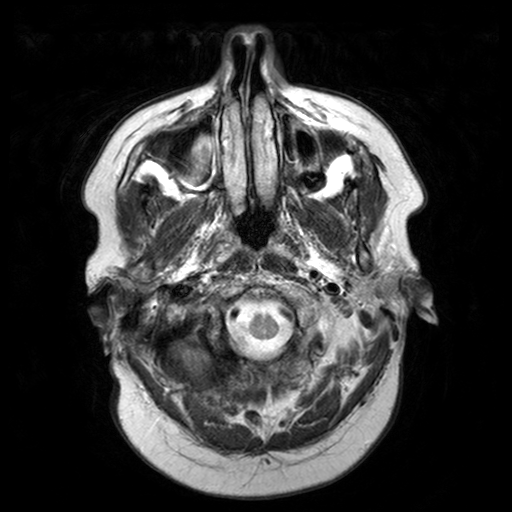
{
  "modality": {
    "type": "brain MRI",
    "field_strength": "3T"
  },
  "series": "T2-weighted turbo spin echo with SENSE",
  "study_topic": "ring-enhancing brain masses"
}